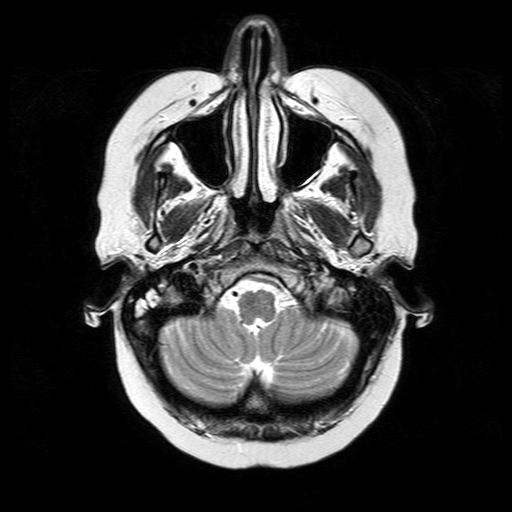
modality=3 Tesla brain MRI
series=T2-weighted turbo spin echo
study=ring-enhancing brain masses